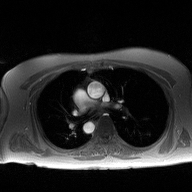
2D phase-contrast cine MRI of the ascending aorta, high-resolution GRAPPA acquisition.